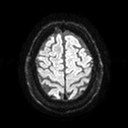
3 Tesla brain MRI.
Series: diffusion tensor imaging (medium iso).
Study: ring-enhancing brain masses.